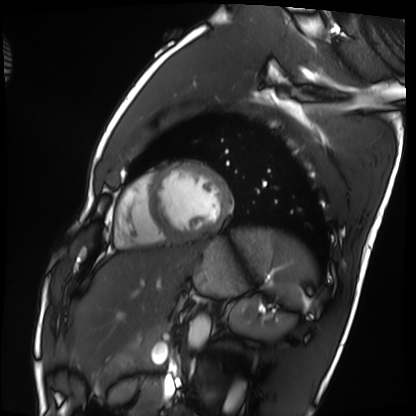
Cardiac MRI. Subject group: healthy volunteer.